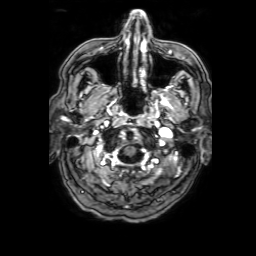
{
  "modality": {
    "type": "brain MRI",
    "field_strength": "3T"
  },
  "series": "3D T1-weighted with SENSE",
  "study_topic": "ring-enhancing brain masses"
}